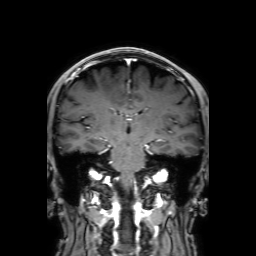
{"modality": {"type": "brain MRI", "field_strength": "3T"}, "series": "3D T1-weighted with SENSE", "study_topic": "ring-enhancing brain masses"}